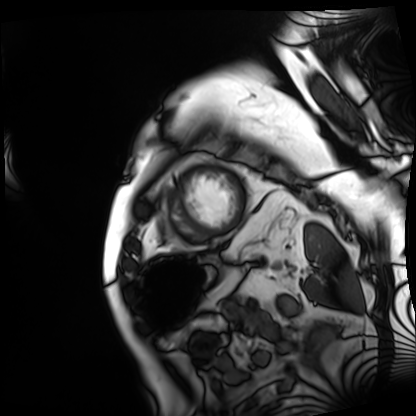
– modality · cardiac MRI
– subject group · patient